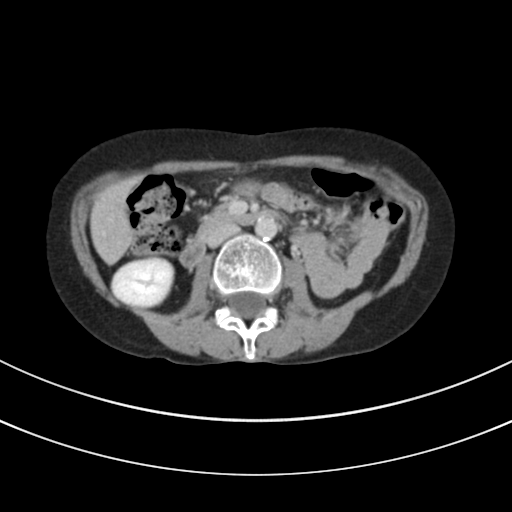
Clinical context:
Multiphase abdominal CT, liver, delayed phase. Patient: female, age 44.